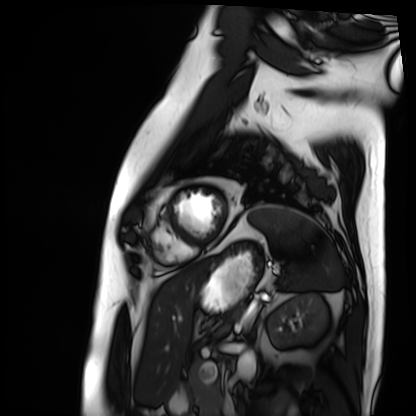
{"modality": "cardiac MRI", "cohort": "patient"}